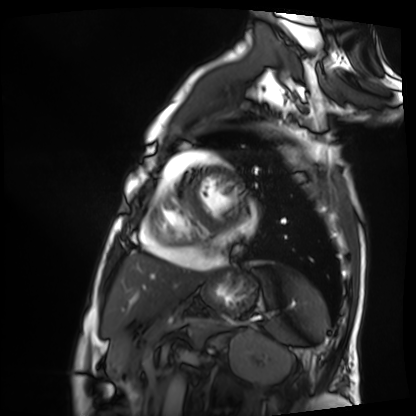
Case:
• modality · cardiac MRI
• subject group · patient